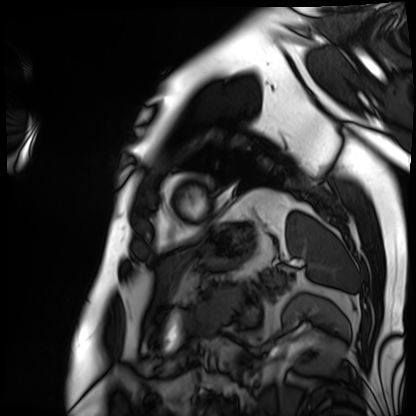
Cardiac MRI.
Subject group: patient.